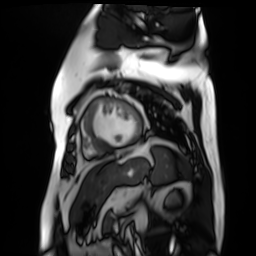
Cardiac MR image of the myocardium. Subject cohort: cardiac patient.